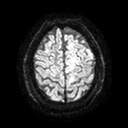
modality = 3 Tesla brain MRI; series = diffusion tensor imaging (medium iso); study = ring-enhancing brain masses.